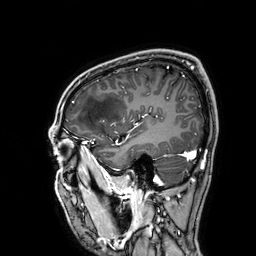
| field | value |
|---|---|
| modality | 3 Tesla brain MRI |
| series | 3D T1-weighted |
| study | ring-enhancing brain masses |